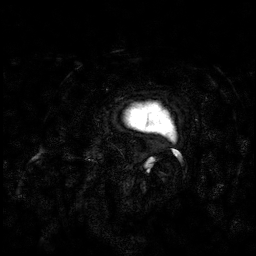
- modality: 3 Tesla brain MRI
- series: 3D T1-weighted
- study: ring-enhancing brain masses